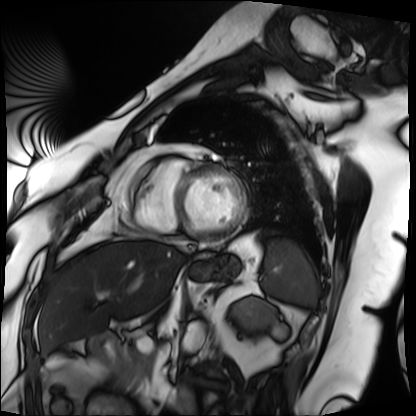
Cardiac MRI.
Subject group: patient.